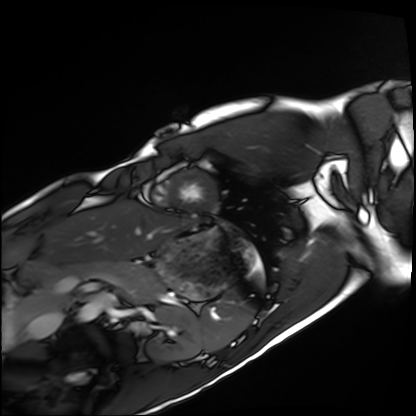
modality: cardiac MRI | subject group: healthy volunteer.